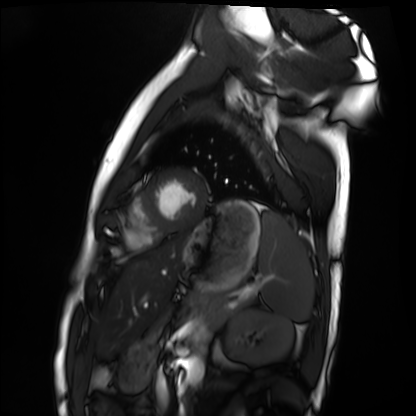
modality = cardiac MRI | subject group = healthy volunteer.